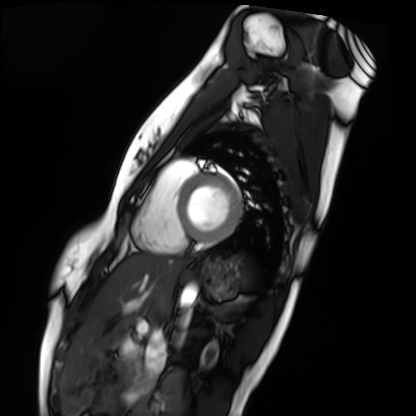
Q: What kind of scan is this?
A: Cardiac MRI.
Subject group: healthy volunteer.